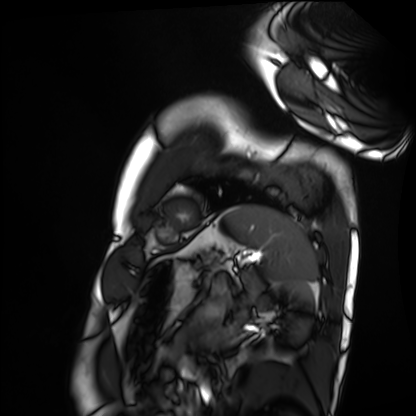
Cardiac MRI. Subject group: healthy volunteer.